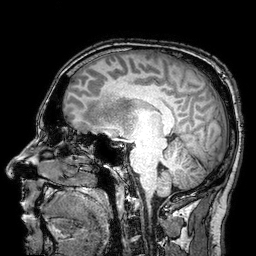
- modality · 3 Tesla brain MRI
- series · 3D T1-weighted turbo field echo with SENSE
- study · ring-enhancing brain masses